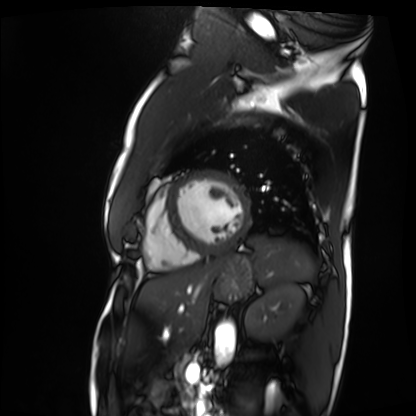
<record>
<modality>cardiac MRI</modality>
<cohort>patient</cohort>
</record>